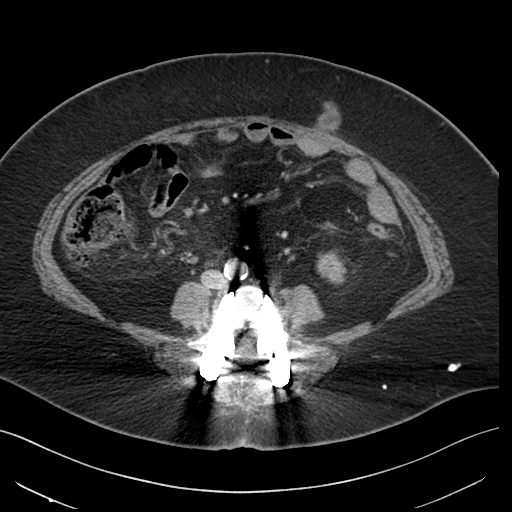
<study>
  <modality>
    <type>multiphase abdominal CT</type>
    <region>liver</region>
    <phase>arterial</phase>
  </modality>
  <patient>
    <sex>female</sex>
    <age>65</age>
  </patient>
</study>